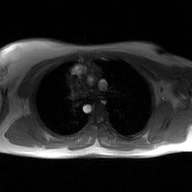
2D phase-contrast cine MRI of the ascending aorta, GAN super-resolution reconstruction.